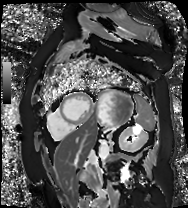
Summary:
Cardiac MR image of the myocardium. Subject cohort: cardiac patient.